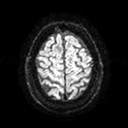
3 Tesla brain MRI. Series: diffusion tensor imaging (medium iso). Study: ring-enhancing brain masses.